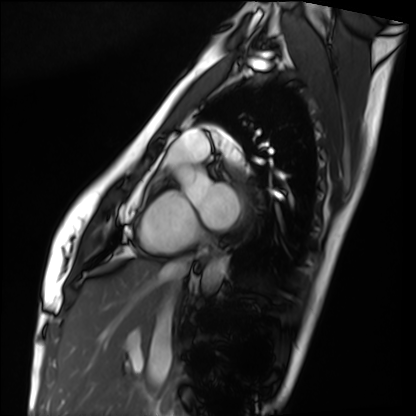
{"modality": "cardiac MRI", "cohort": "healthy volunteer"}